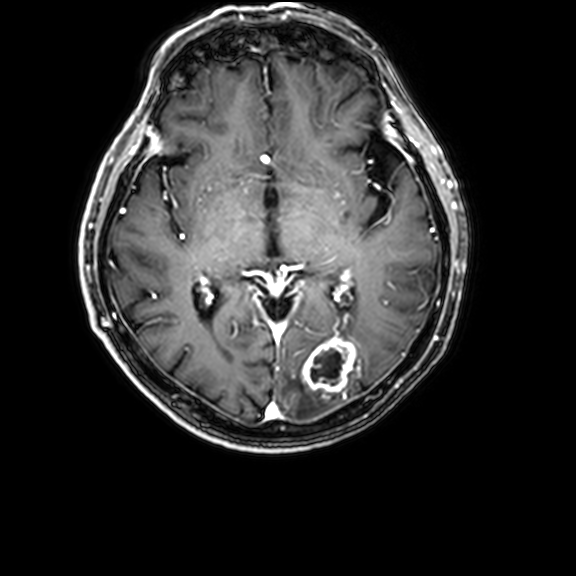
3 Tesla brain MRI.
Series: 3D T1-weighted with CLEAR.
Study: ring-enhancing brain masses.